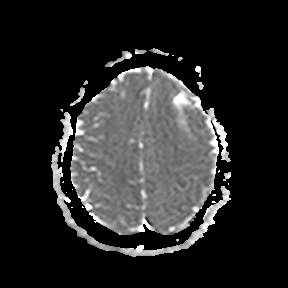
modality: 3 Tesla brain MRI | series: apparent diffusion coefficient (ADC) map | study: ring-enhancing brain masses.